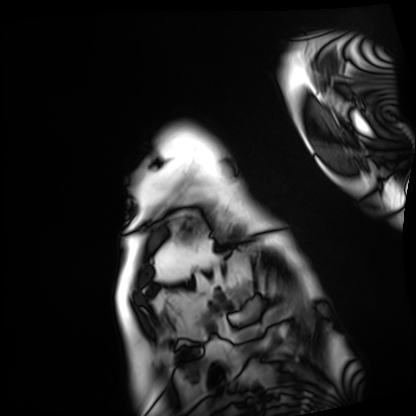
Clinical context: Cardiac MRI. Subject group: patient.